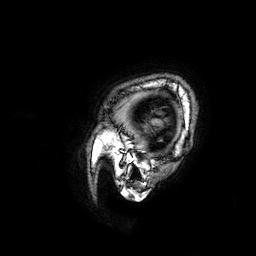
3 Tesla brain MRI. Series: 3D T1-weighted. Study: ring-enhancing brain masses.